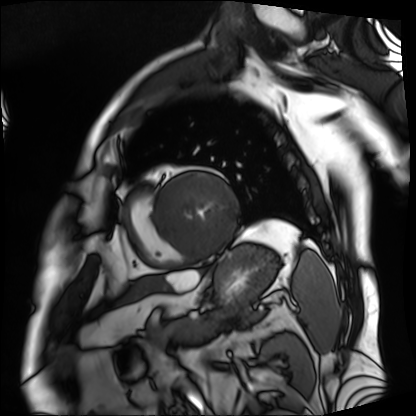
* modality — cardiac MRI
* subject group — patient